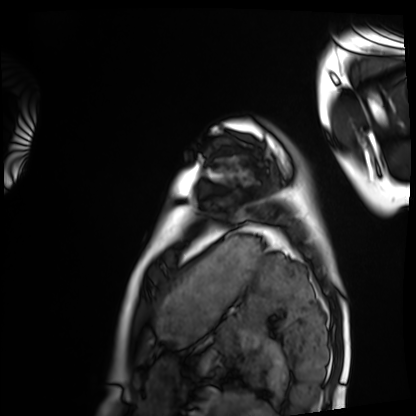
Cardiac MRI. Subject group: healthy volunteer.